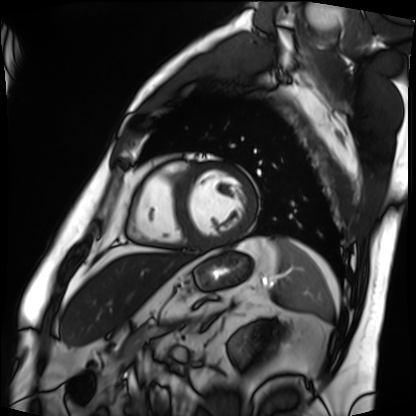
• modality · cardiac MRI
• subject group · patient